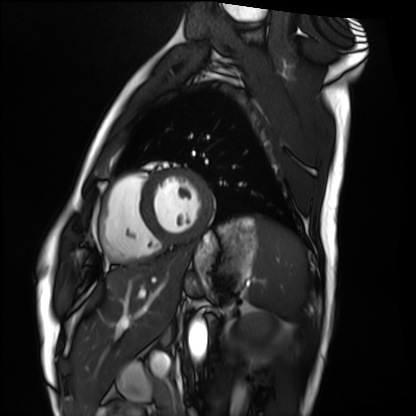
{"modality": "cardiac MRI", "cohort": "healthy volunteer"}